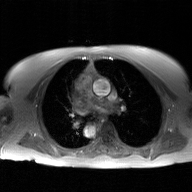
modality: 2D phase-contrast cine MRI of the ascending aorta, GAN super-resolution reconstruction.